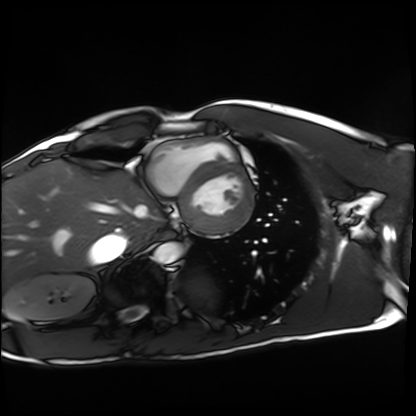
modality = cardiac MRI
subject group = healthy volunteer